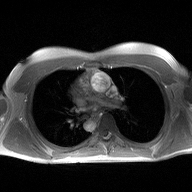
| field | value |
|---|---|
| modality | 2D phase-contrast cine MRI of the ascending aorta |